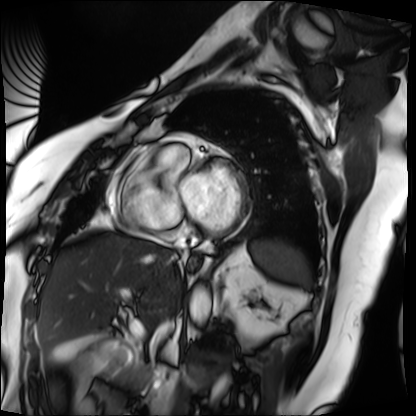
Summary:
Cardiac MRI. Subject group: patient.